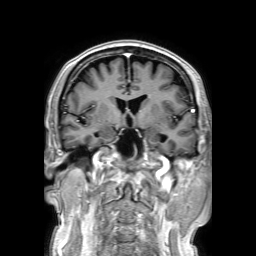
Clinical context:
3 Tesla brain MRI. Series: 3D T1-weighted TFE with SENSE. Study: ring-enhancing brain masses.